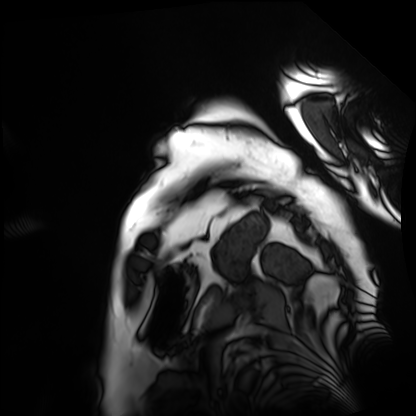
Cardiac MRI.
Subject group: patient.